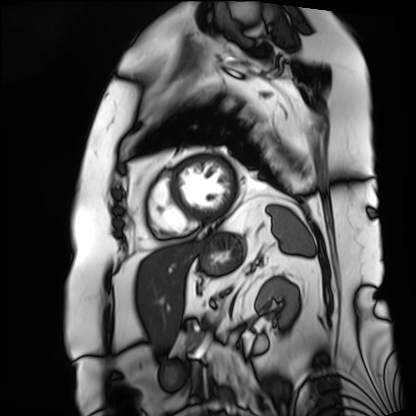
Cardiac MRI. Subject group: patient.